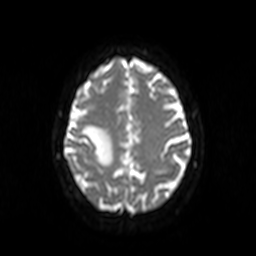
3 Tesla brain MRI. Series: diffusion-weighted imaging. Study: ring-enhancing brain masses.